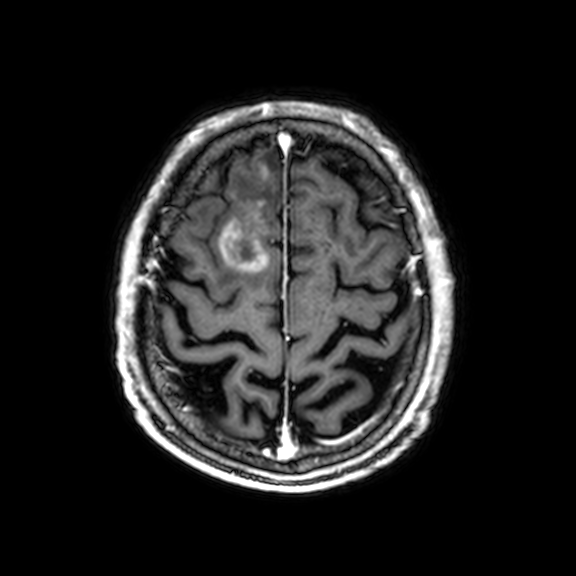
Case summary:
3 Tesla brain MRI. Series: 3D T1-weighted with CLEAR. Study: ring-enhancing brain masses.